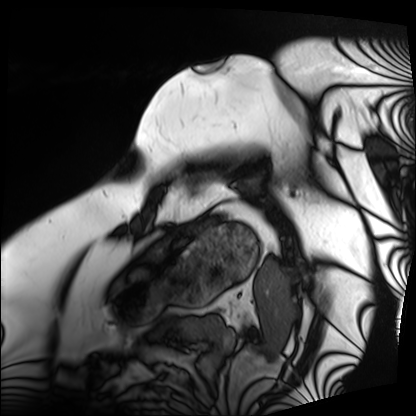
Cardiac MRI.
Subject group: patient.